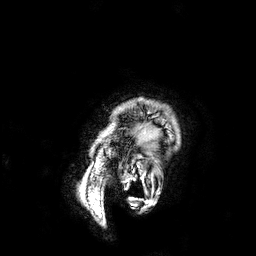
modality=3 Tesla brain MRI; study=ring-enhancing brain masses.